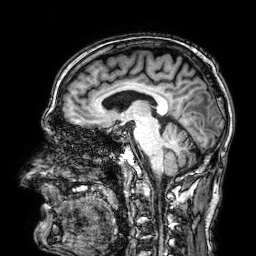
3 Tesla brain MRI. Series: 3D T1-weighted. Study: ring-enhancing brain masses.